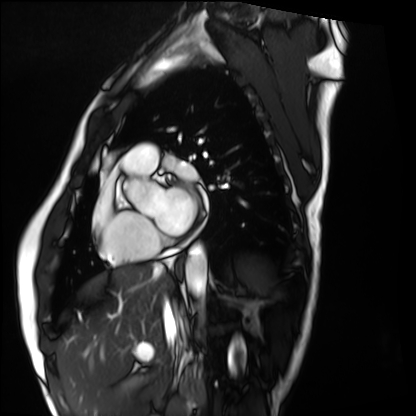
Cardiac MRI. Subject group: healthy volunteer.